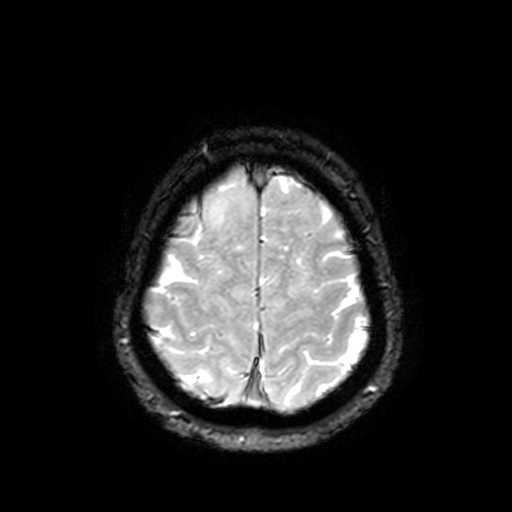
3 Tesla brain MRI. Series: T2-weighted fast field echo with SENSE. Study: ring-enhancing brain masses.